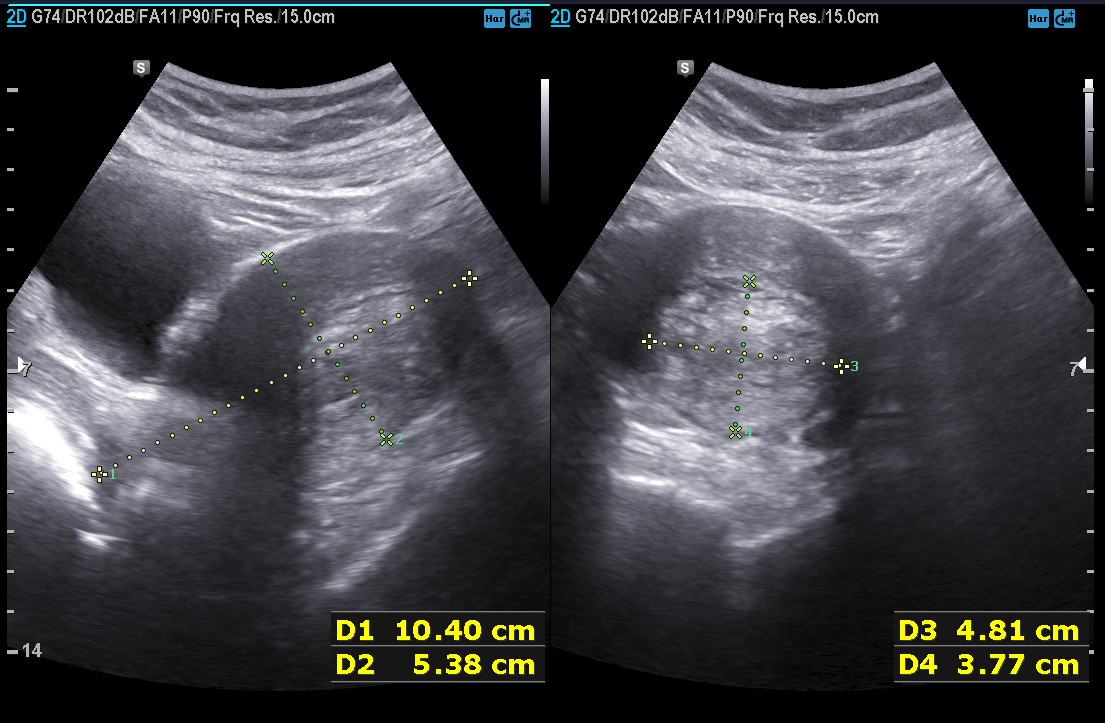
Genitourinary ultrasound.